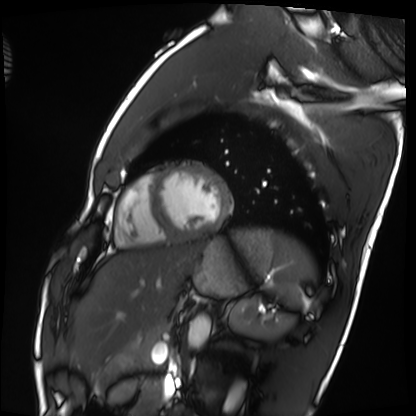
Case:
– modality: cardiac MRI
– subject group: healthy volunteer